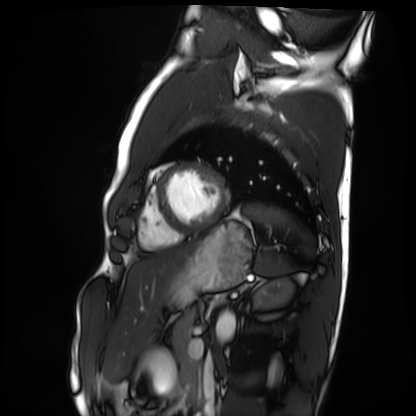
modality: cardiac MRI | subject group: healthy volunteer.